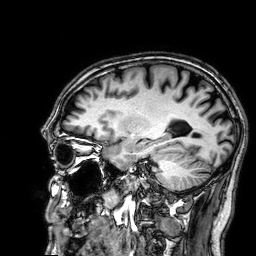
Summary:
3 Tesla brain MRI. Series: 3D T1-weighted. Study: ring-enhancing brain masses.